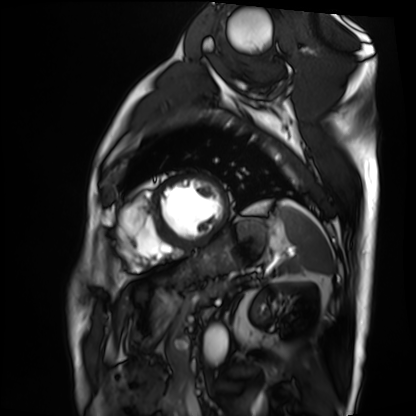
Case:
* modality — cardiac MRI
* subject group — patient